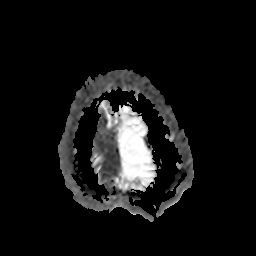
3 Tesla brain MRI. Series: apparent diffusion coefficient (ADC) map. Study: ring-enhancing brain masses.